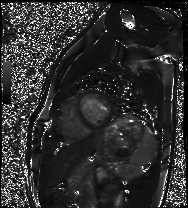
Cardiac MRI. Subject group: healthy volunteer.